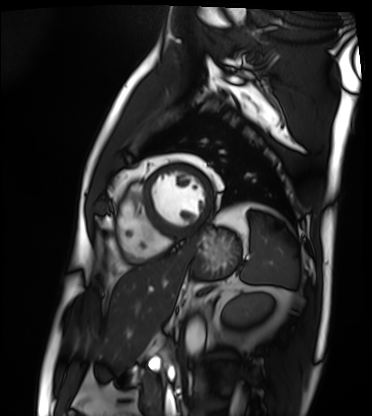
Q: What kind of scan is this?
A: Cardiac MRI.
Subject group: patient.